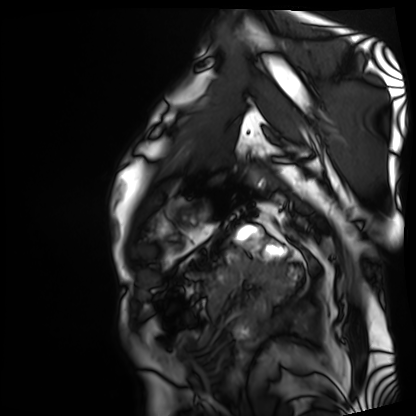
– modality · cardiac MRI
– subject group · patient